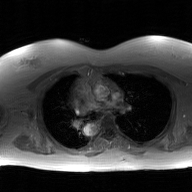
2D phase-contrast cine MRI of the ascending aorta, GAN super-resolution reconstruction.